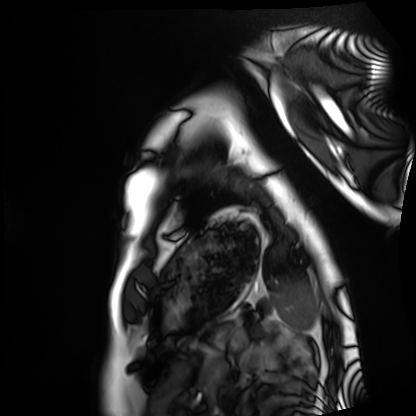
modality: cardiac MRI, subject group: healthy volunteer.